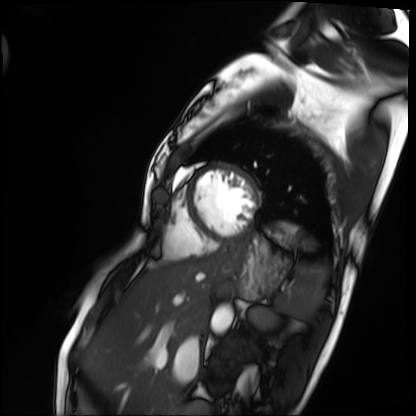
| field | value |
|---|---|
| modality | cardiac MRI |
| subject group | patient |